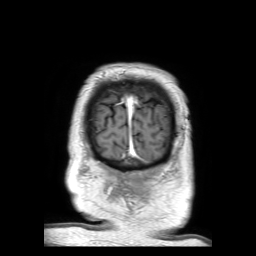
Q: What kind of scan is this?
A: 3 Tesla brain MRI.
Q: Series?
A: 3D T1-weighted TFE with SENSE.
Study: ring-enhancing brain masses.